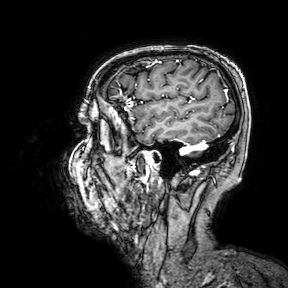
modality: 3 Tesla brain MRI
study: ring-enhancing brain masses